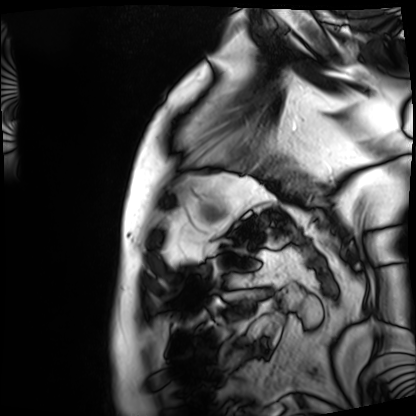
Clinical context:
Cardiac MRI. Subject group: patient.